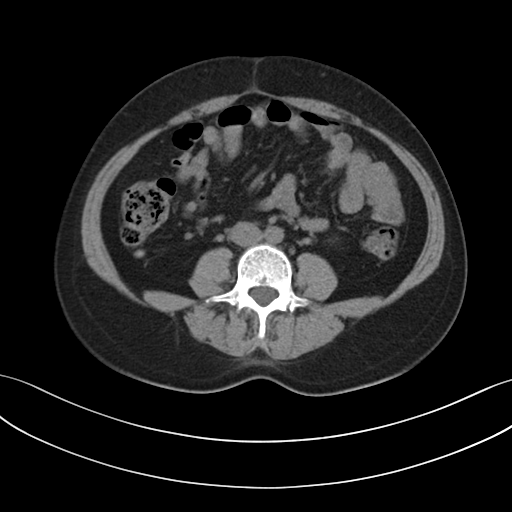
- modality: multiphase abdominal CT, liver, non-contrast phase
- patient: female, age 44
- history: prior chemotherapy